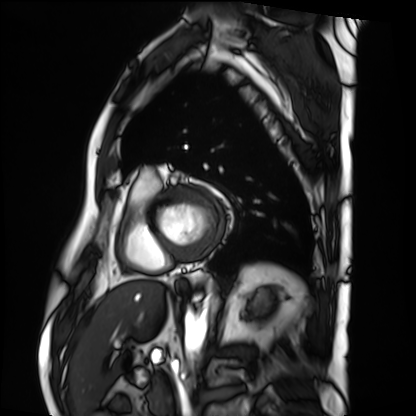
modality: cardiac MRI; subject group: patient.